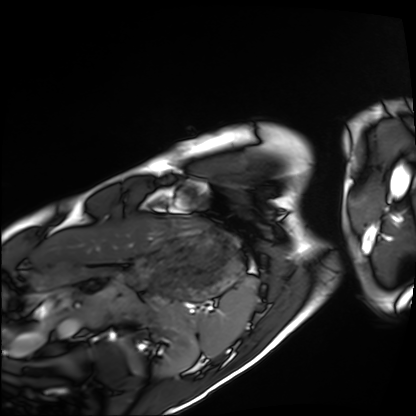
Cardiac MRI.
Subject group: healthy volunteer.